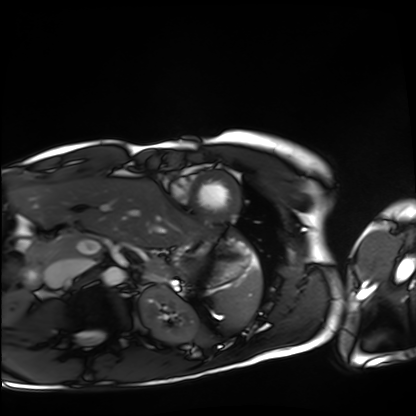
Cardiac MRI. Subject group: healthy volunteer.